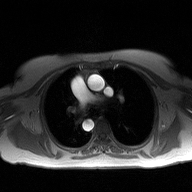
Q: What kind of scan is this?
A: 2D phase-contrast cine MRI of the ascending aorta.